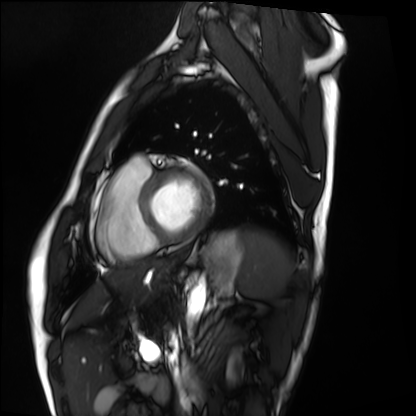
Summary: Cardiac MRI. Subject group: healthy volunteer.